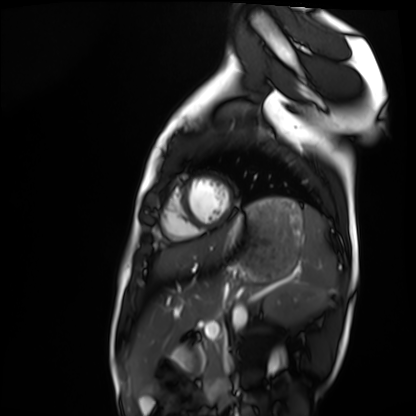
<scan>
<modality>cardiac MRI</modality>
<cohort>healthy volunteer</cohort>
</scan>